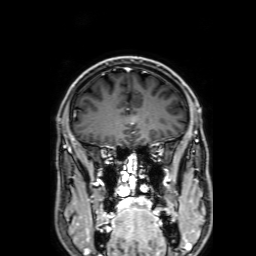
3 Tesla brain MRI. Series: 3D T1-weighted with SENSE. Study: ring-enhancing brain masses.